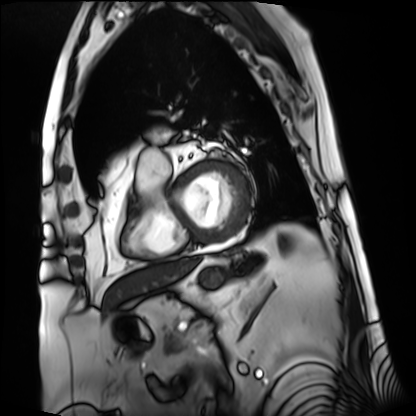
Cardiac MRI. Subject group: patient.